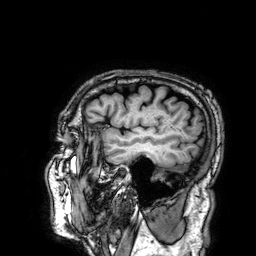
- modality · 3 Tesla brain MRI
- series · 3D T1-weighted
- study · ring-enhancing brain masses